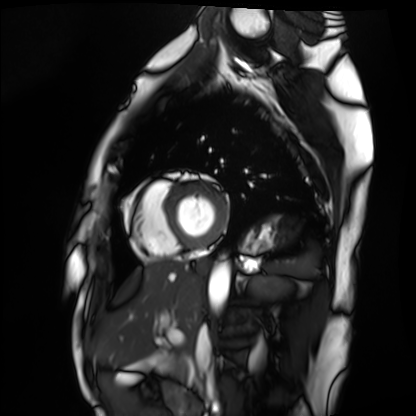
Cardiac MRI. Subject group: healthy volunteer.